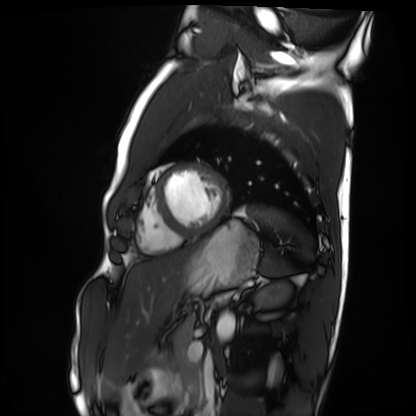
Cardiac MRI.
Subject group: healthy volunteer.